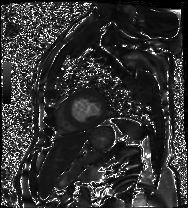
Cardiac MRI. Subject group: patient.